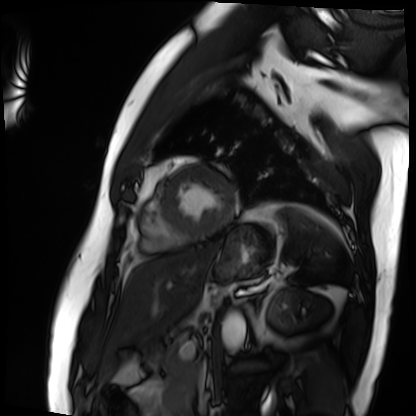
Summary:
Cardiac MRI. Subject group: patient.